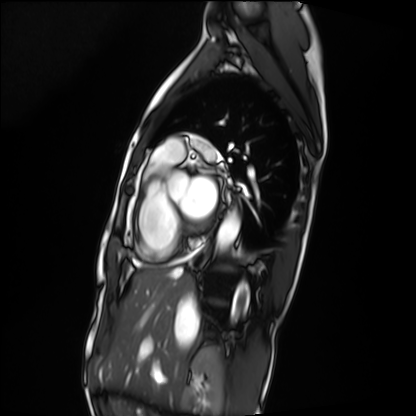
Cardiac MRI. Subject group: patient.